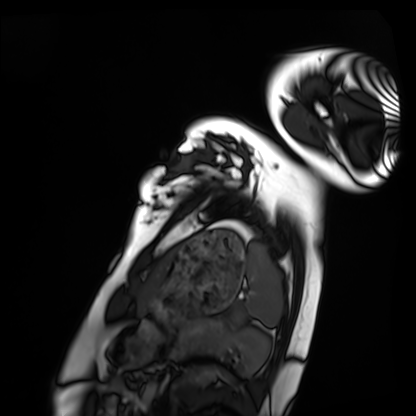
Cardiac MRI.
Subject group: healthy volunteer.